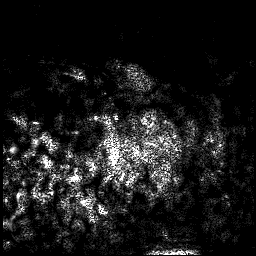
modality: 3 Tesla brain MRI; series: 3D T1-weighted; study: ring-enhancing brain masses.